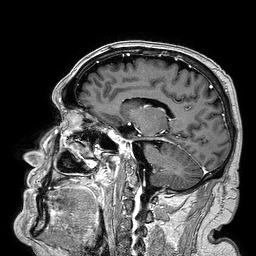
3 Tesla brain MRI. Series: 3D T1-weighted turbo field echo. Study: ring-enhancing brain masses.